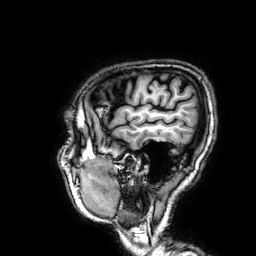
Clinical context: 3 Tesla brain MRI. Series: 3D T1-weighted. Study: ring-enhancing brain masses.